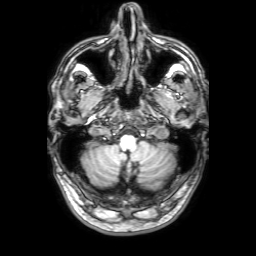
modality — 3 Tesla brain MRI; series — 3D T1-weighted with SENSE; study — ring-enhancing brain masses.